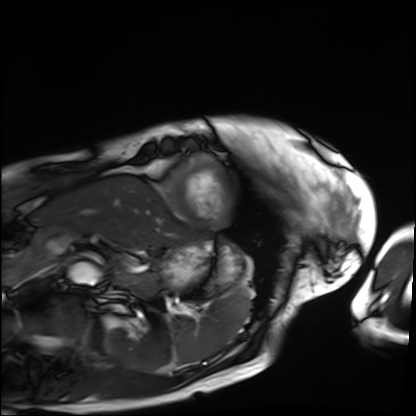
| field | value |
|---|---|
| modality | cardiac MRI |
| subject group | patient |